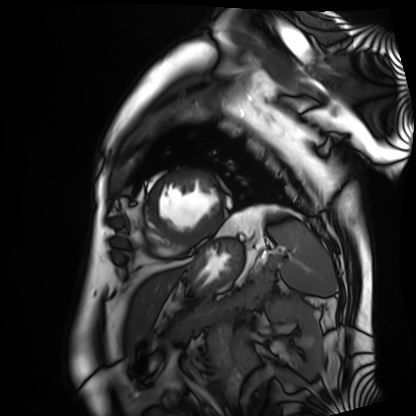
Summary: Cardiac MRI. Subject group: patient.